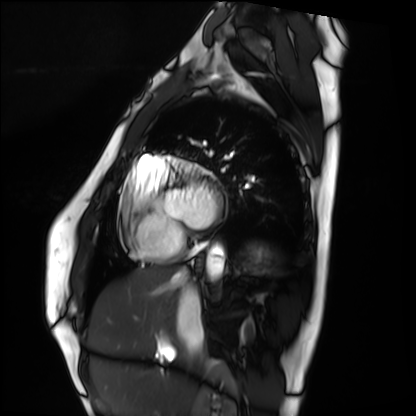
Q: What kind of scan is this?
A: Cardiac MRI.
Subject group: healthy volunteer.